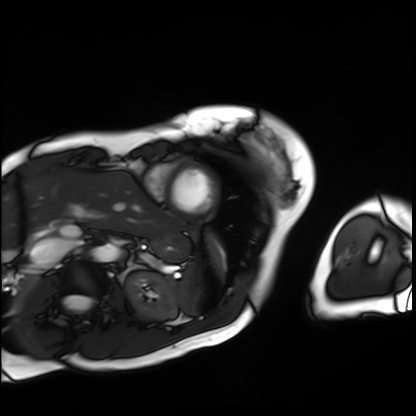
modality = cardiac MRI; subject group = patient.